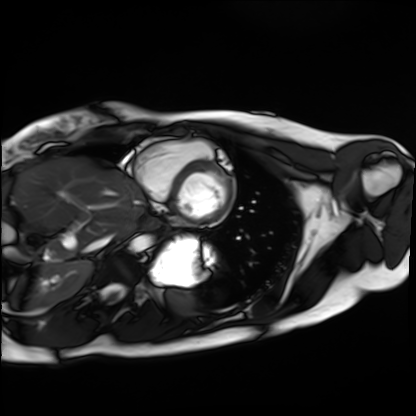
Cardiac MRI.
Subject group: healthy volunteer.